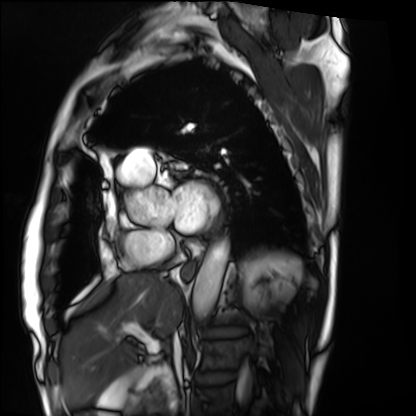
modality: cardiac MRI
cohort: patient